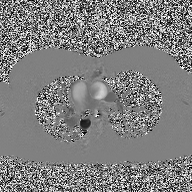
  modality:
    type: 2D phase-contrast cine MRI
    region: ascending aorta
    reconstruction: high-resolution GRAPPA acquisition